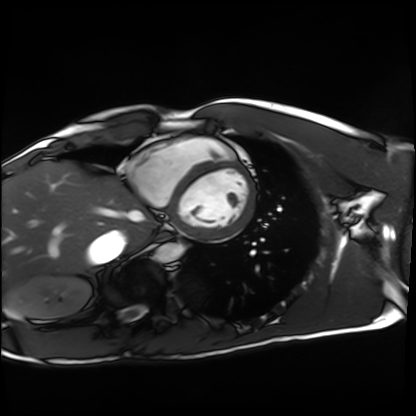
Clinical context: Cardiac MRI. Subject group: healthy volunteer.